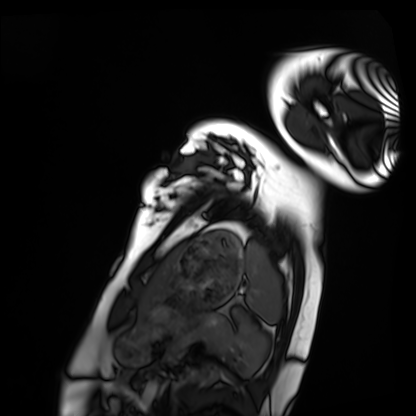
<case>
  <modality>cardiac MRI</modality>
  <cohort>healthy volunteer</cohort>
</case>